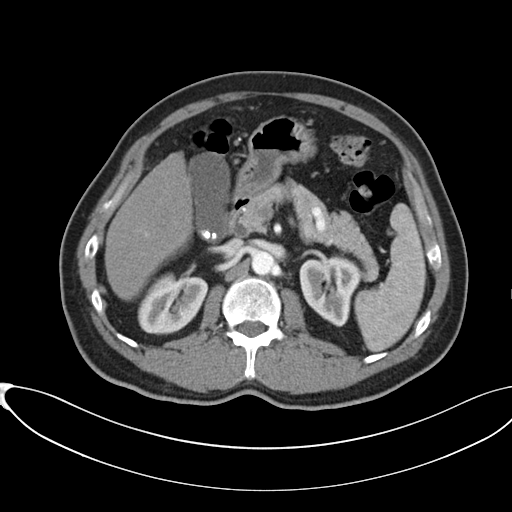
| field | value |
|---|---|
| modality | multiphase abdominal CT, liver, arterial phase |
| patient | male, age 60 |
| history | cirrhosis, viral hepatitis |